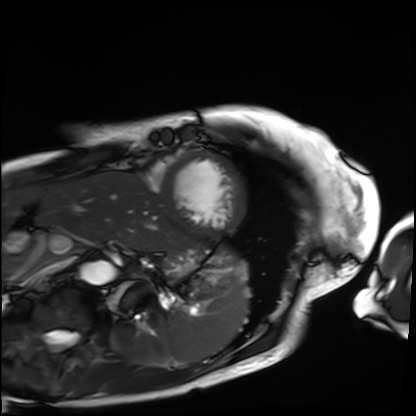
Case summary: Cardiac MRI. Subject group: patient.